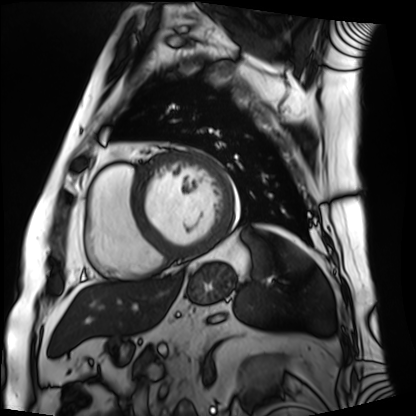
Cardiac MRI.
Subject group: patient.